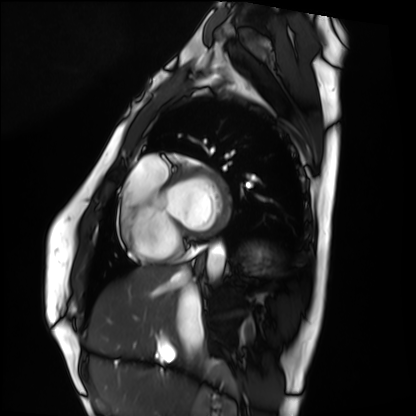
{
  "modality": "cardiac MRI",
  "cohort": "healthy volunteer"
}